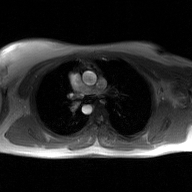
2D phase-contrast cine MRI of the ascending aorta, GAN super-resolution reconstruction.